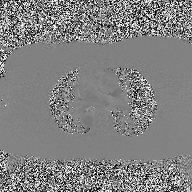
{"modality": {"type": "2D phase-contrast cine MRI", "region": "ascending aorta", "reconstruction": "high-resolution GRAPPA acquisition"}}